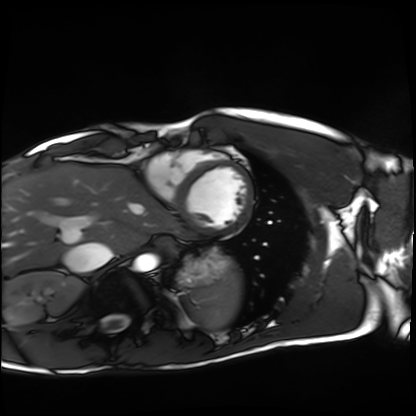
Cardiac MRI. Subject group: healthy volunteer.